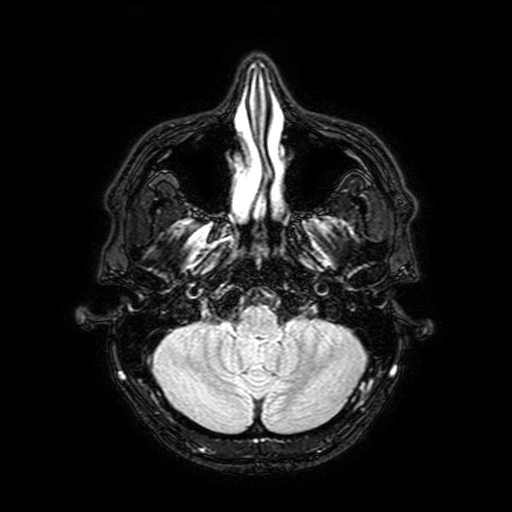
3 Tesla brain MRI. Series: FLAIR with SPAIR, 3 mm. Study: ring-enhancing brain masses.